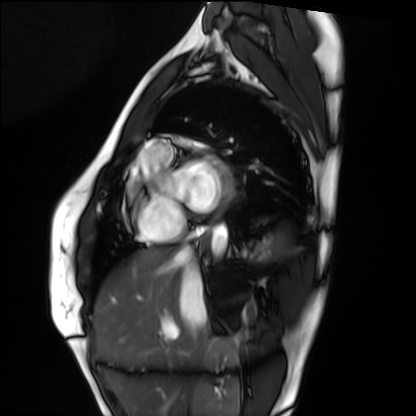
Summary: Cardiac MRI. Subject group: healthy volunteer.